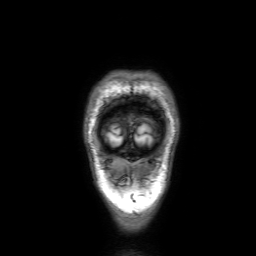
Summary: 3 Tesla brain MRI. Series: 3D T1-weighted with SENSE. Study: ring-enhancing brain masses.